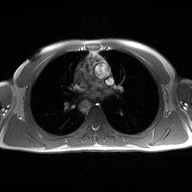
Q: What kind of scan is this?
A: 2D phase-contrast cine MRI of the ascending aorta.